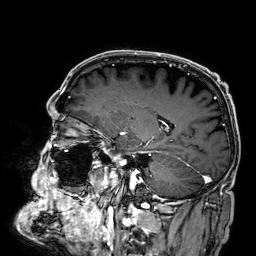
| field | value |
|---|---|
| modality | 3 Tesla brain MRI |
| series | 3D T1-weighted |
| study | ring-enhancing brain masses |